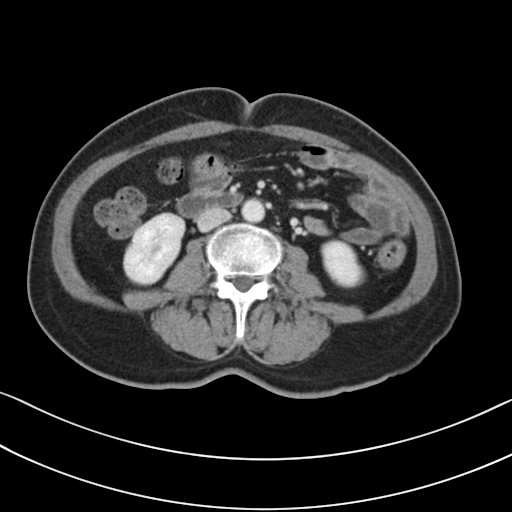
<study>
<modality>
  <type>multiphase abdominal CT</type>
  <region>liver</region>
  <phase>portal venous</phase>
</modality>
<patient>
  <sex>female</sex>
  <age>58</age>
</patient>
<history>prior chemotherapy</history>
</study>